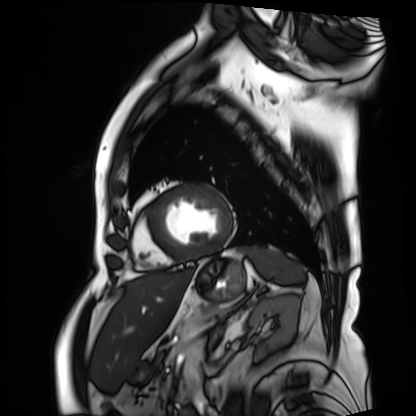
modality = cardiac MRI; subject group = patient.